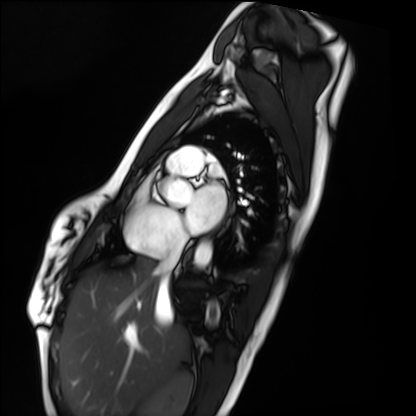
Cardiac MRI. Subject group: healthy volunteer.